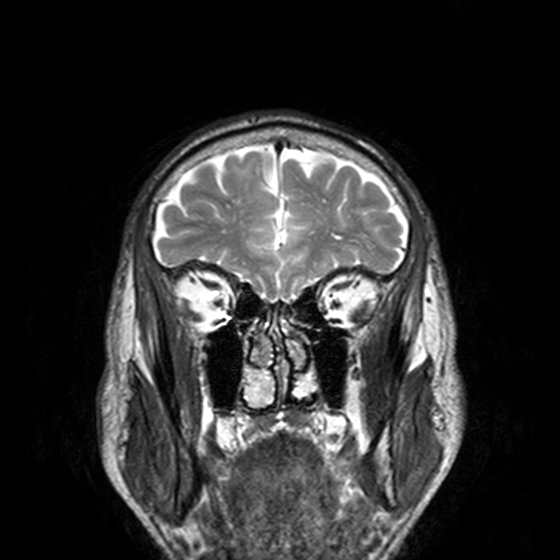
3 Tesla brain MRI. Series: T2-weighted turbo spin echo, 3 mm. Study: ring-enhancing brain masses.